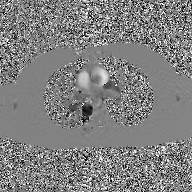
2D phase-contrast cine MRI of the ascending aorta, GAN super-resolution reconstruction.